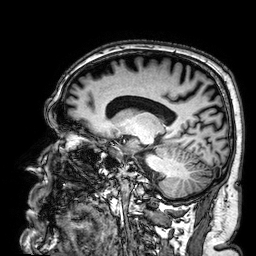
Case summary:
3 Tesla brain MRI. Series: 3D T1-weighted. Study: ring-enhancing brain masses.